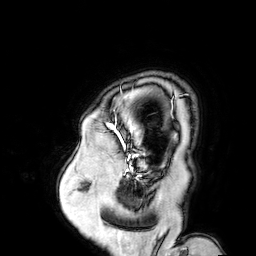
Clinical context:
3 Tesla brain MRI. Series: 3D T1-weighted turbo field echo with SENSE. Study: ring-enhancing brain masses.